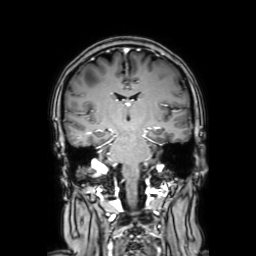
Case:
• modality — 3 Tesla brain MRI
• series — coronal with contrast
• study — ring-enhancing brain masses